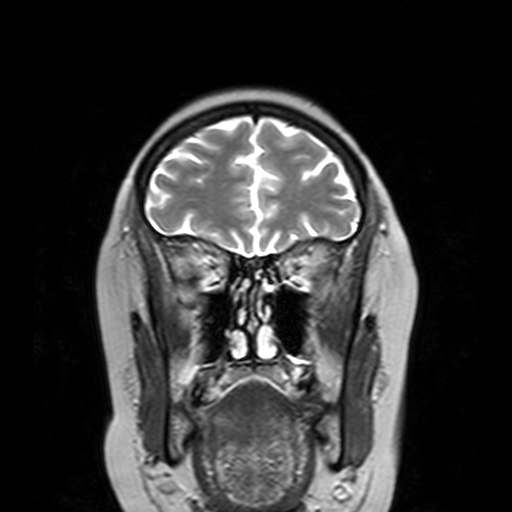
3 Tesla brain MRI. Series: T2-weighted turbo spin echo with SENSE. Study: ring-enhancing brain masses.